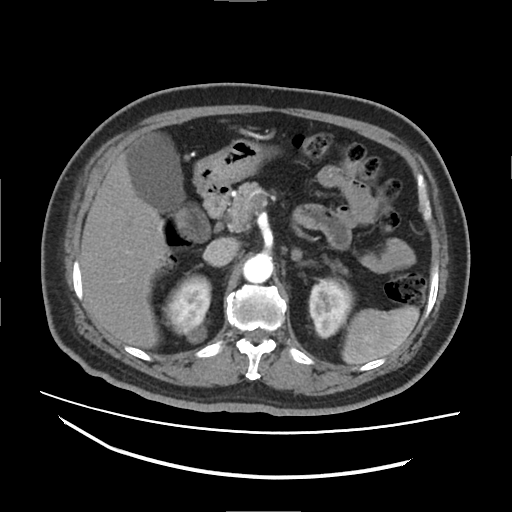
Multiphase abdominal CT, liver, arterial phase.
Patient: male, age 63.
History: cirrhosis, viral hepatitis.